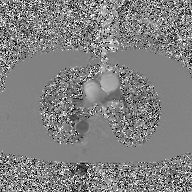
2D phase-contrast cine MRI of the ascending aorta, GAN super-resolution reconstruction.